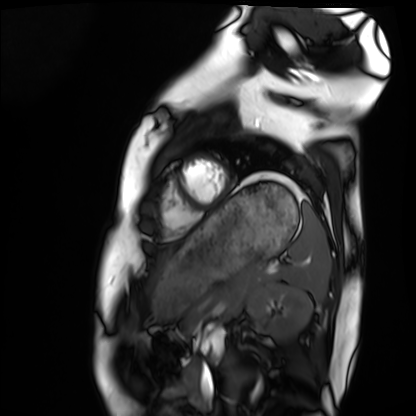
Case:
• modality · cardiac MRI
• subject group · healthy volunteer